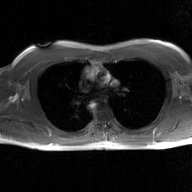
<study>
<modality>
  <type>2D phase-contrast cine MRI</type>
  <region>ascending aorta</region>
  <reconstruction>GAN super-resolution reconstruction</reconstruction>
</modality>
</study>